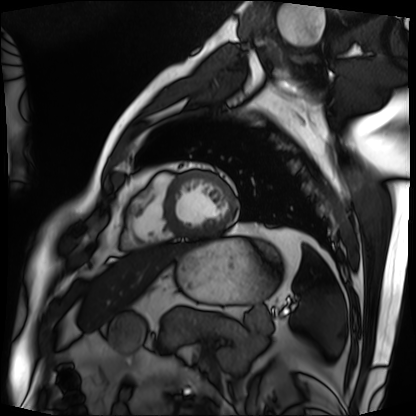
{"modality": "cardiac MRI", "cohort": "patient"}